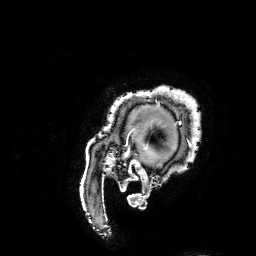
modality = 3 Tesla brain MRI | series = 3D T1-weighted turbo field echo with SENSE | study = ring-enhancing brain masses.